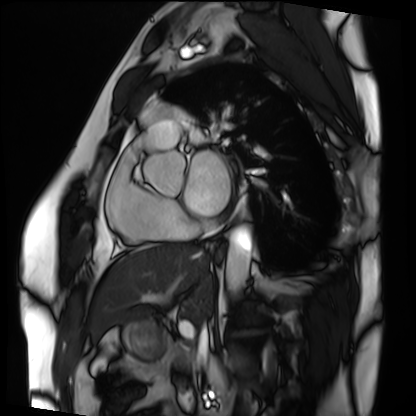
• modality — cardiac MRI
• subject group — patient